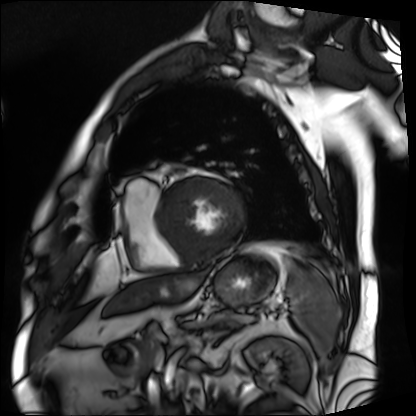
Cardiac MRI. Subject group: patient.